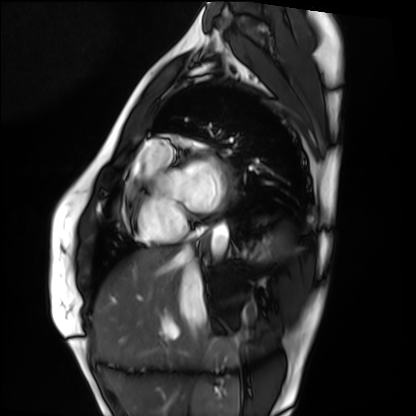
{
  "modality": "cardiac MRI",
  "cohort": "healthy volunteer"
}